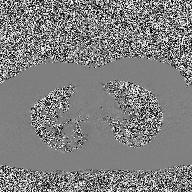
Summary: 2D phase-contrast cine MRI of the ascending aorta, high-resolution GRAPPA acquisition.